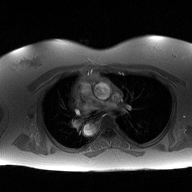
modality = 2D phase-contrast cine MRI of the ascending aorta.